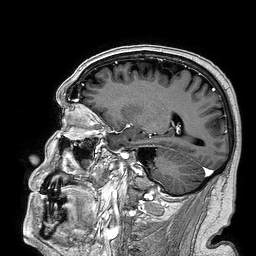
{
  "modality": {
    "type": "brain MRI",
    "field_strength": "3T"
  },
  "series": "3D T1-weighted turbo field echo",
  "study_topic": "ring-enhancing brain masses"
}